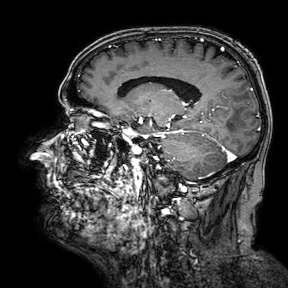
  modality:
    type: brain MRI
    field_strength: 3T
  series: 3D T1-weighted turbo field echo with SENSE
  study_topic: ring-enhancing brain masses